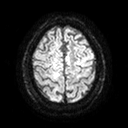
3 Tesla brain MRI. Series: diffusion tensor imaging (medium iso). Study: ring-enhancing brain masses.